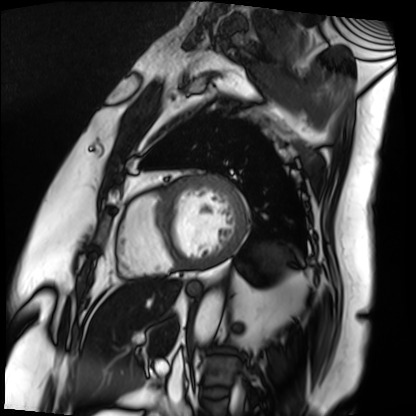
Summary:
Cardiac MRI. Subject group: patient.